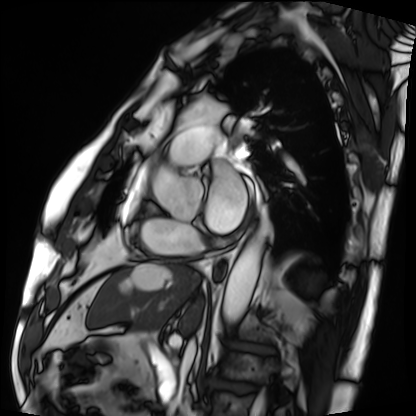
modality: cardiac MRI | subject group: patient.